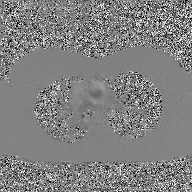
{
  "modality": {
    "type": "2D phase-contrast cine MRI",
    "region": "ascending aorta",
    "reconstruction": "GAN super-resolution reconstruction"
  }
}